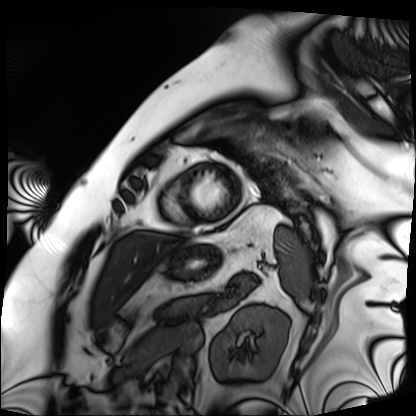
Cardiac MRI. Subject group: patient.